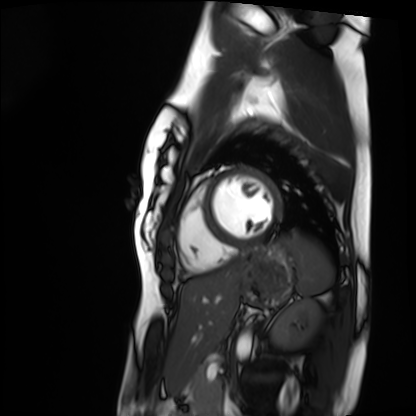
Case summary:
Cardiac MRI. Subject group: healthy volunteer.